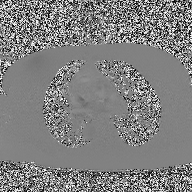
2D phase-contrast cine MRI of the ascending aorta, high-resolution GRAPPA acquisition.